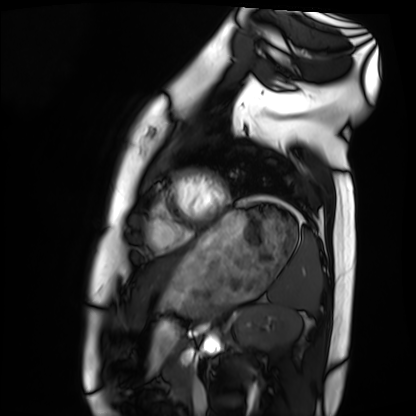
Cardiac MRI. Subject group: healthy volunteer.